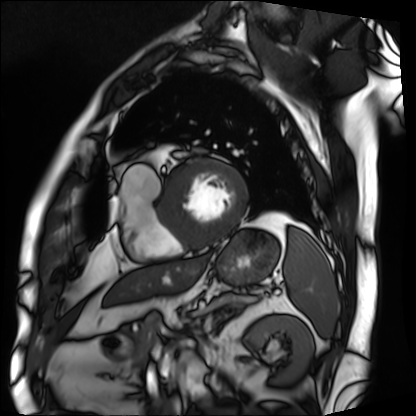
Case:
* modality: cardiac MRI
* subject group: patient